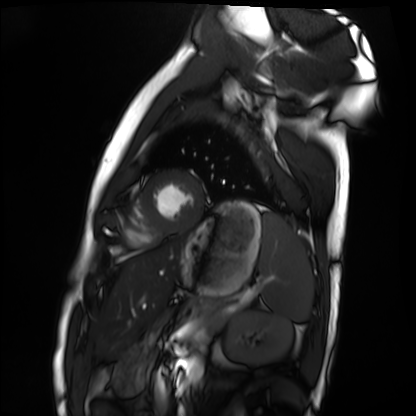
modality: cardiac MRI | subject group: healthy volunteer.